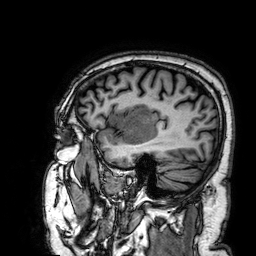
modality: 3 Tesla brain MRI | series: 3D T1-weighted | study: ring-enhancing brain masses.